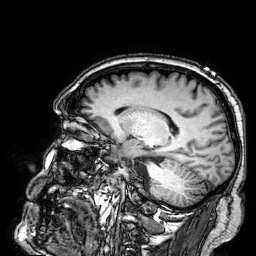
Case:
* modality — 3 Tesla brain MRI
* series — 3D T1-weighted
* study — ring-enhancing brain masses